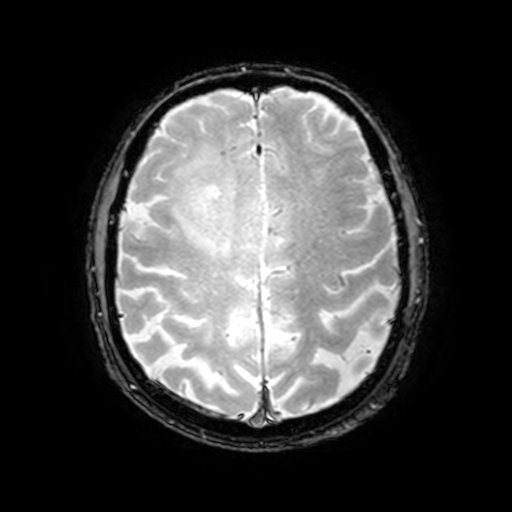
3 Tesla brain MRI.
Series: T2-weighted fast field echo with SENSE.
Study: ring-enhancing brain masses.